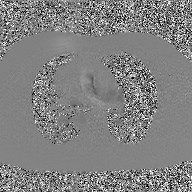
Clinical context:
2D phase-contrast cine MRI of the ascending aorta, GAN super-resolution reconstruction.